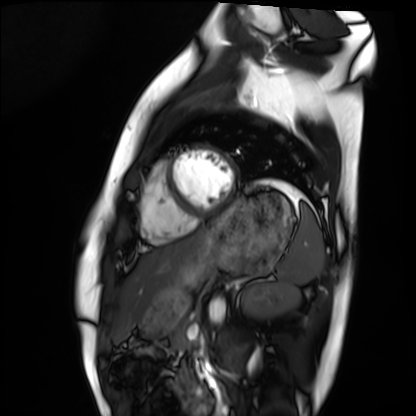
Q: What kind of scan is this?
A: Cardiac MRI.
Subject group: healthy volunteer.